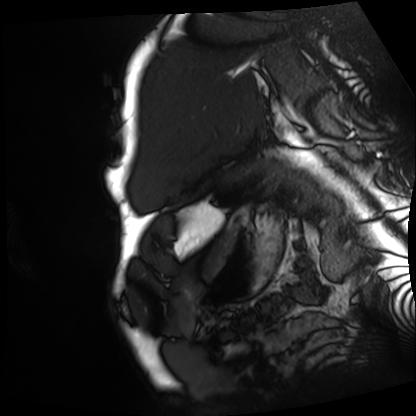
modality = cardiac MRI; subject group = patient.